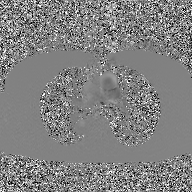
| field | value |
|---|---|
| modality | 2D phase-contrast cine MRI of the ascending aorta, GAN super-resolution reconstruction |